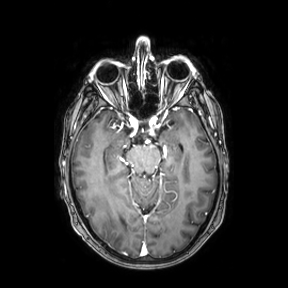
Q: What kind of scan is this?
A: 3 Tesla brain MRI.
Q: Series?
A: Axial.
Study: ring-enhancing brain masses.